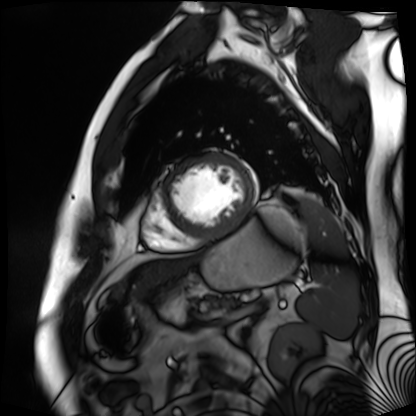
modality: cardiac MR image of the myocardium; subject cohort: cardiac patient.